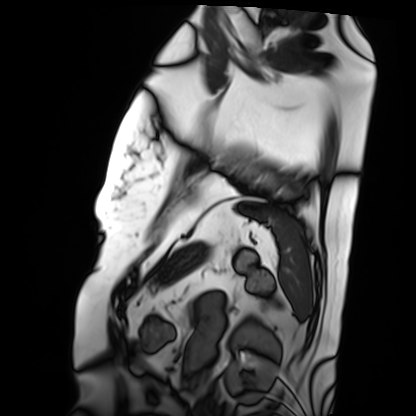
modality: cardiac MRI
cohort: patient